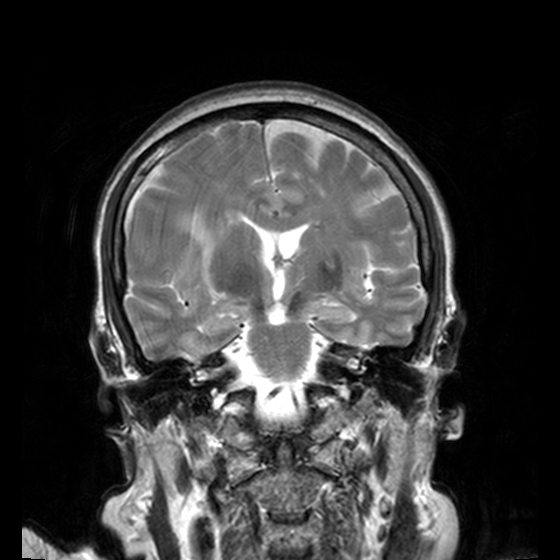
Summary:
3 Tesla brain MRI. Series: T2-weighted turbo spin echo, 3 mm. Study: ring-enhancing brain masses.